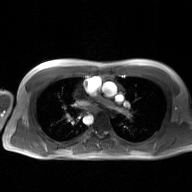
2D phase-contrast cine MRI of the ascending aorta, GAN super-resolution reconstruction.